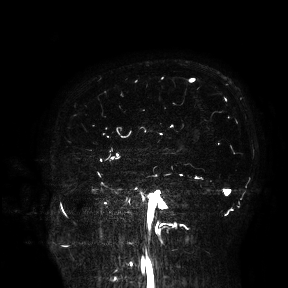
| field | value |
|---|---|
| modality | 3 Tesla brain MRI |
| study | ring-enhancing brain masses |